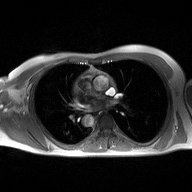
modality = 2D phase-contrast cine MRI of the ascending aorta